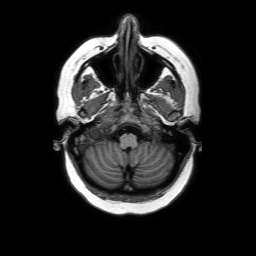
Case summary: 3 Tesla brain MRI. Series: axial without contrast. Study: ring-enhancing brain masses.